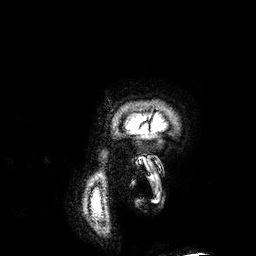
Clinical context: 3 Tesla brain MRI. Series: 3D T1-weighted. Study: ring-enhancing brain masses.